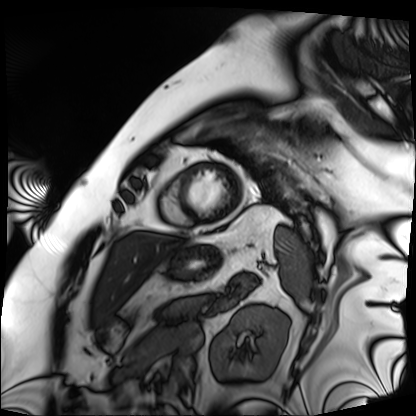
modality: cardiac MRI, subject group: patient.